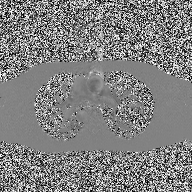
2D phase-contrast cine MRI of the ascending aorta, high-resolution GRAPPA acquisition.